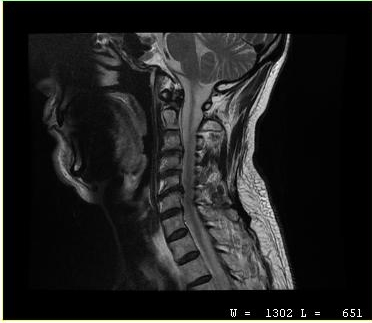
{"modality": {"type": "cervical spine MRI"}, "study_topic": "cervical spondylosis"}